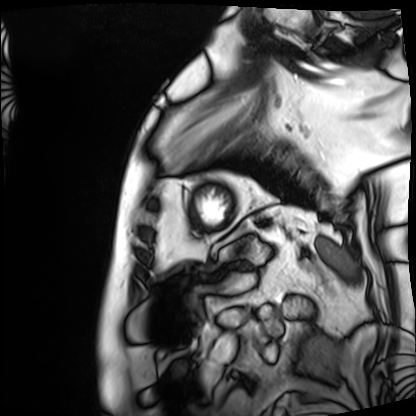
modality: cardiac MRI
subject group: patient